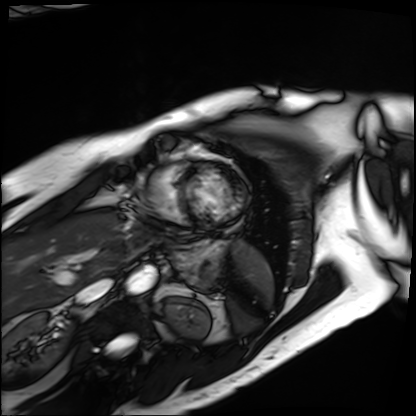
Q: What kind of scan is this?
A: Cardiac MRI.
Subject group: patient.